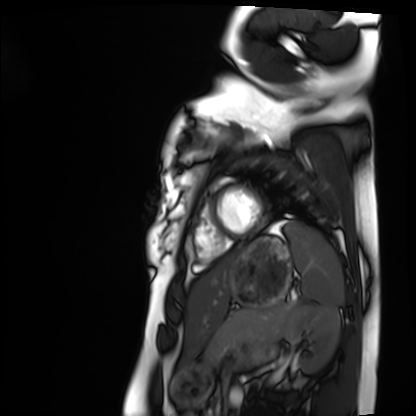
Cardiac MRI. Subject group: healthy volunteer.